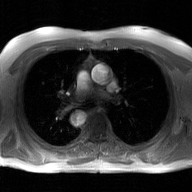
modality = 2D phase-contrast cine MRI of the ascending aorta, GAN super-resolution reconstruction.